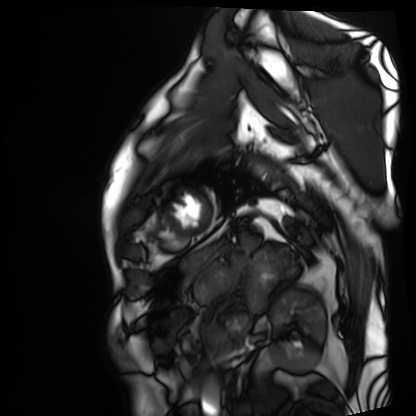
- modality — cardiac MRI
- subject group — patient